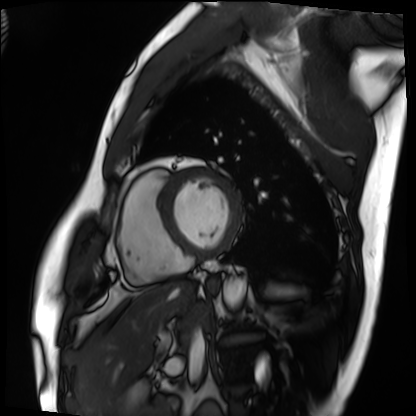
Summary:
Cardiac MRI. Subject group: patient.